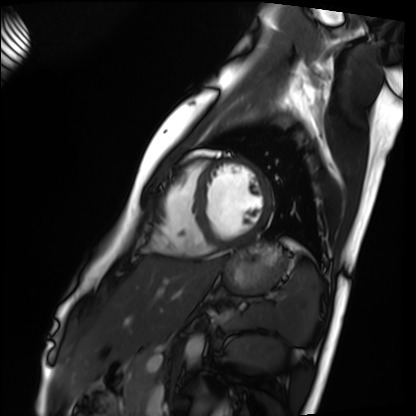
• modality: cardiac MRI
• subject group: healthy volunteer